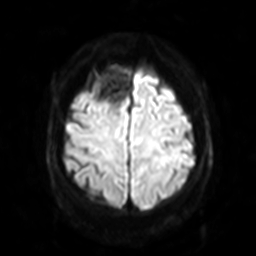
3 Tesla brain MRI.
Series: diffusion-weighted imaging with SENSE (WIP).
Study: ring-enhancing brain masses.